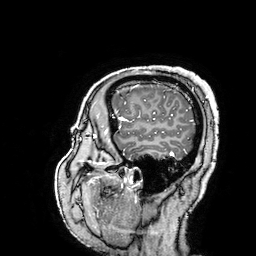
modality: 3 Tesla brain MRI | series: 3D T1-weighted turbo field echo with SENSE | study: ring-enhancing brain masses.